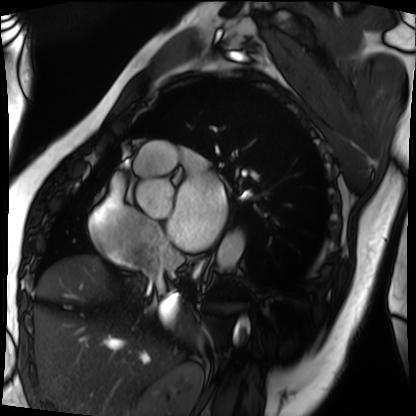
Cardiac MRI.
Subject group: patient.